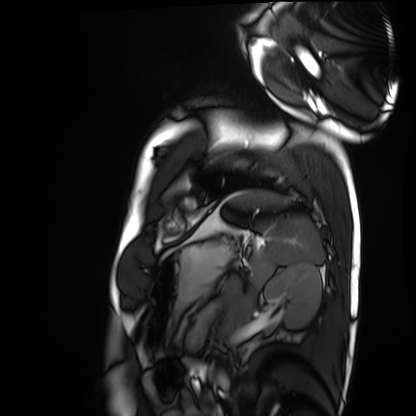
Case summary:
Cardiac MRI. Subject group: healthy volunteer.